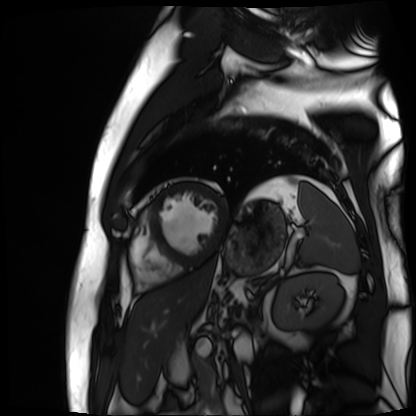
- modality · cardiac MR image of the myocardium
- subject cohort · cardiac patient